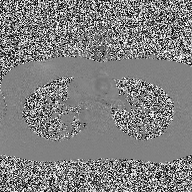
modality=2D phase-contrast cine MRI of the ascending aorta.